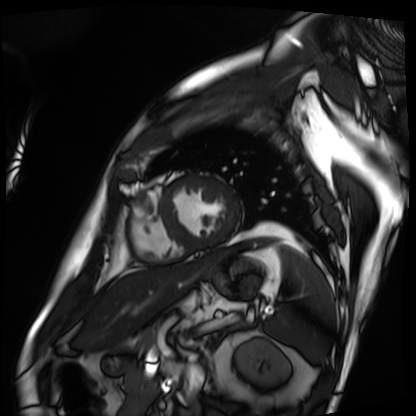
Clinical context: Cardiac MRI. Subject group: patient.